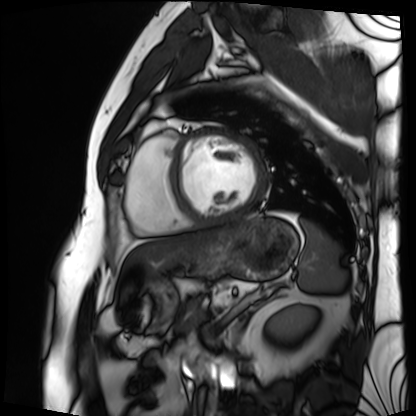
modality = cardiac MRI
subject group = patient